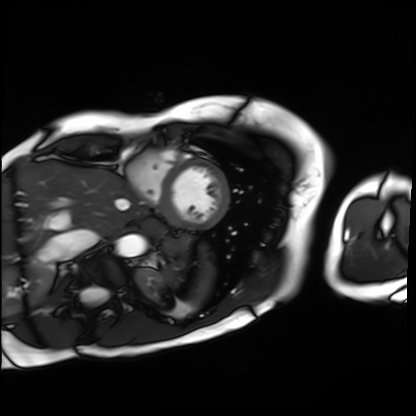
Summary:
Cardiac MRI. Subject group: patient.